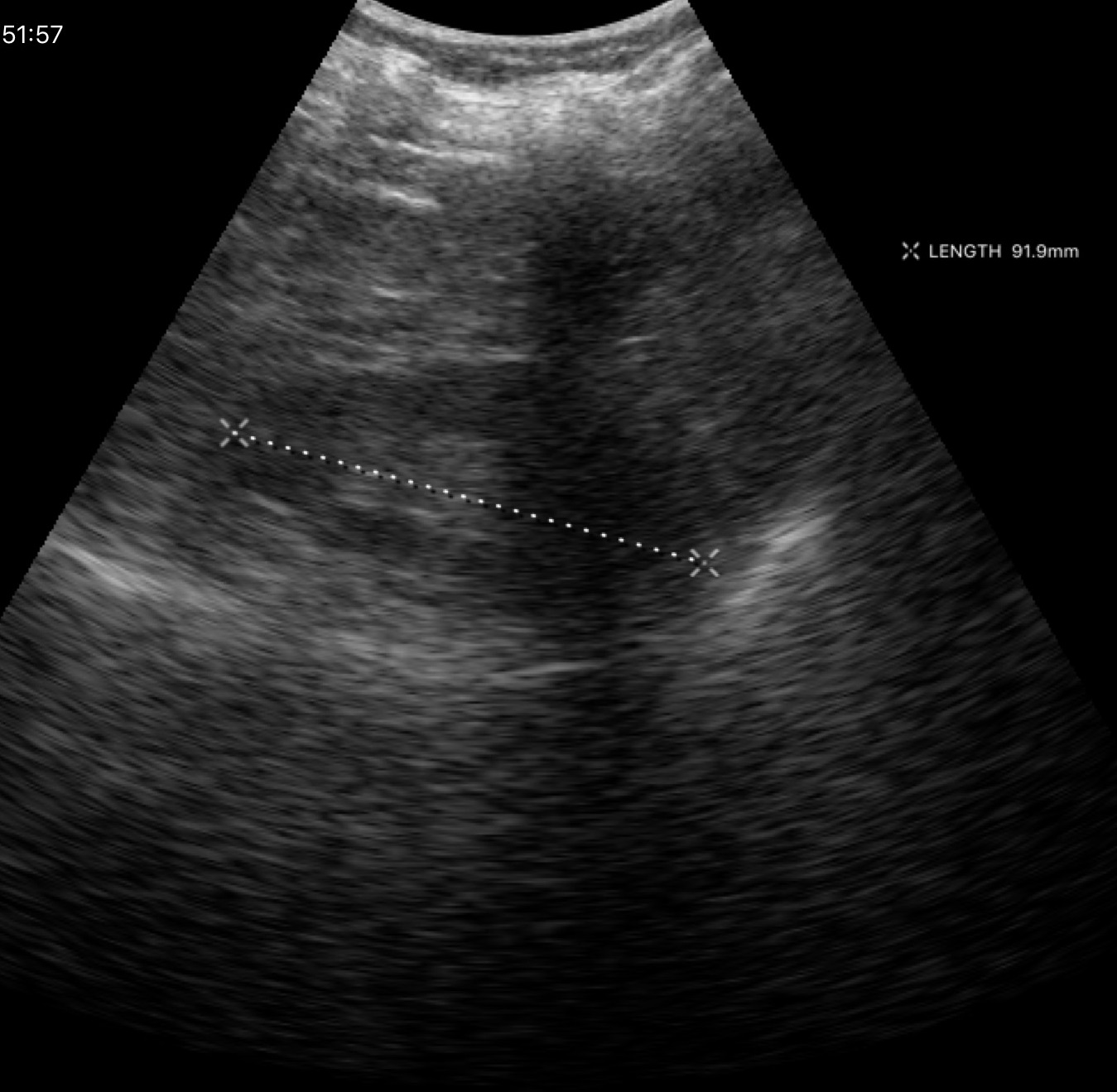
Case:
- modality — genitourinary ultrasound